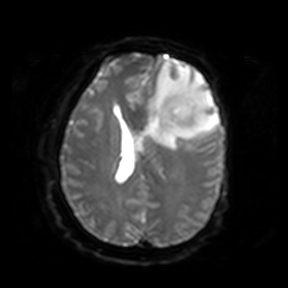
Clinical context:
3 Tesla brain MRI. Series: diffusion-weighted imaging. Study: ring-enhancing brain masses.